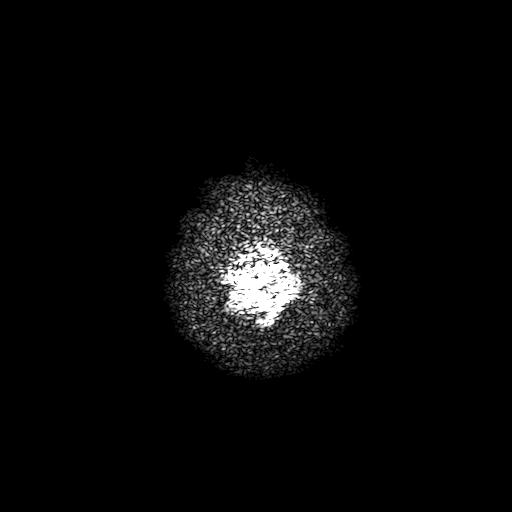
3 Tesla brain MRI. Series: T2-weighted fast field echo with SENSE. Study: ring-enhancing brain masses.